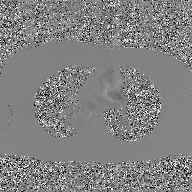
• modality · 2D phase-contrast cine MRI of the ascending aorta, GAN super-resolution reconstruction